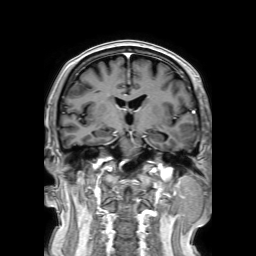
modality = 3 Tesla brain MRI
study = ring-enhancing brain masses